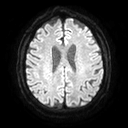
3 Tesla brain MRI. Series: diffusion tensor imaging (medium iso). Study: ring-enhancing brain masses.